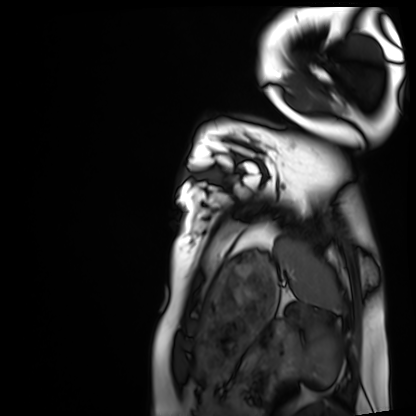
Summary:
Cardiac MRI. Subject group: healthy volunteer.